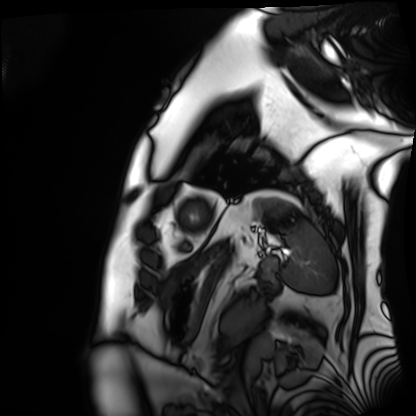
* modality — cardiac MRI
* subject group — patient